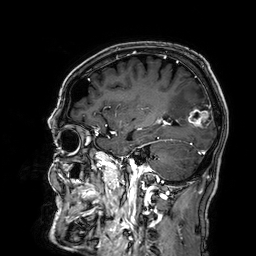
Summary: 3 Tesla brain MRI. Series: 3D T1-weighted. Study: ring-enhancing brain masses.